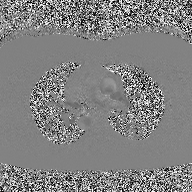
modality = 2D phase-contrast cine MRI of the ascending aorta.